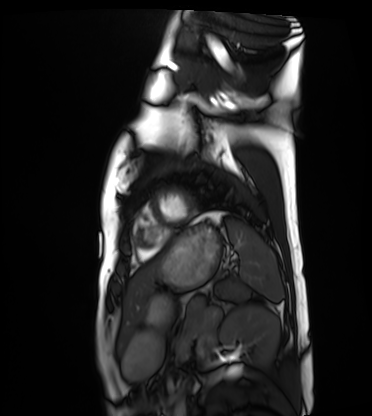
Cardiac MRI. Subject group: healthy volunteer.